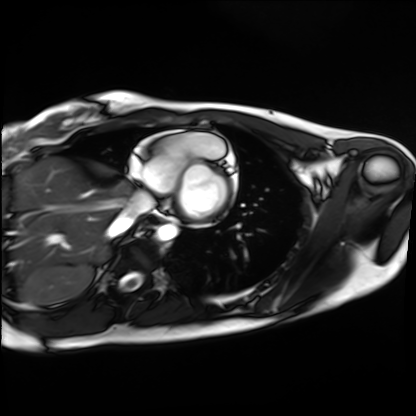
| field | value |
|---|---|
| modality | cardiac MRI |
| subject group | healthy volunteer |